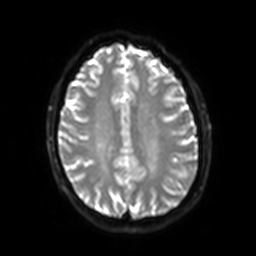
3 Tesla brain MRI.
Series: diffusion-weighted imaging with SENSE (WIP).
Study: ring-enhancing brain masses.